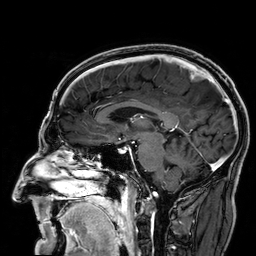
| field | value |
|---|---|
| modality | 3 Tesla brain MRI |
| series | 3D T1-weighted |
| study | ring-enhancing brain masses |